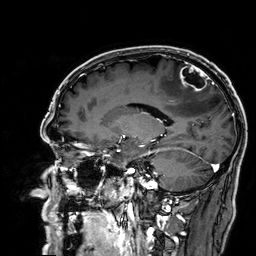
• modality — 3 Tesla brain MRI
• series — 3D T1-weighted
• study — ring-enhancing brain masses